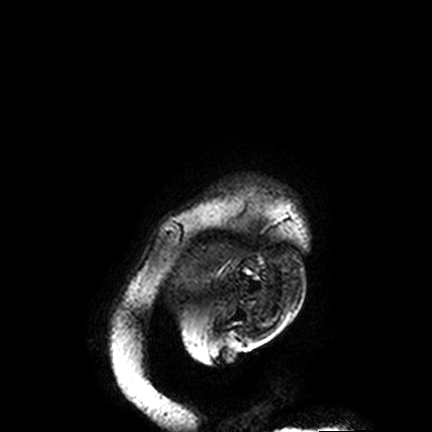
Clinical context:
3 Tesla brain MRI. Series: FLAIR VISTA. Study: ring-enhancing brain masses.